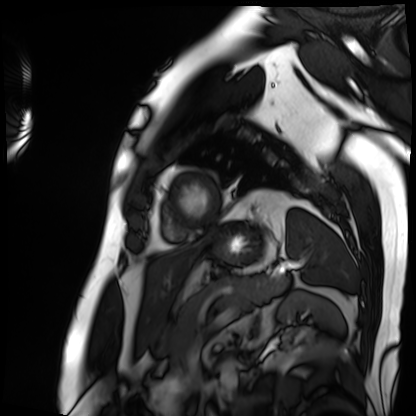
Cardiac MRI. Subject group: patient.